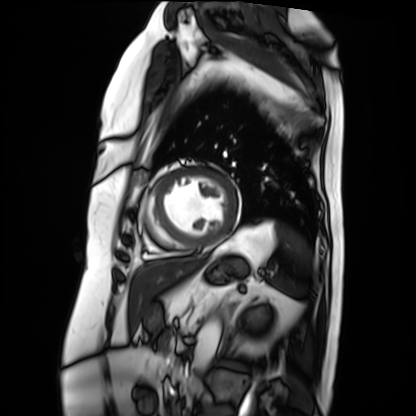
{"modality": "cardiac MRI", "cohort": "patient"}